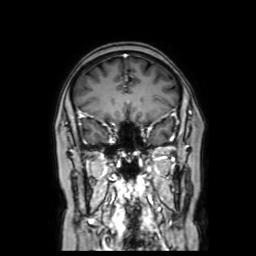
| field | value |
|---|---|
| modality | 3 Tesla brain MRI |
| series | coronal with contrast |
| study | ring-enhancing brain masses |